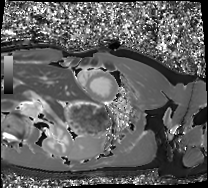
Cardiac MRI.
Subject group: healthy volunteer.